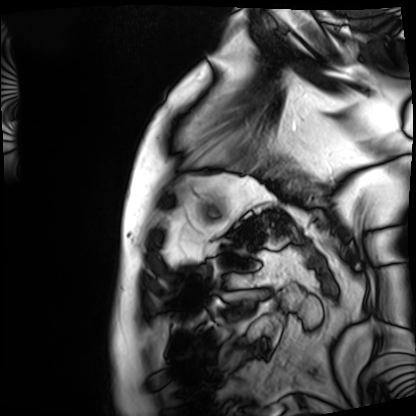
{
  "modality": "cardiac MRI",
  "cohort": "patient"
}